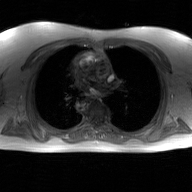
2D phase-contrast cine MRI of the ascending aorta, GAN super-resolution reconstruction.